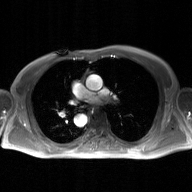
2D phase-contrast cine MRI of the ascending aorta, GAN super-resolution reconstruction.